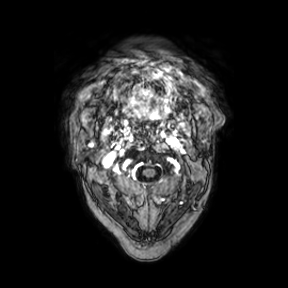
modality:
  type: brain MRI
  field_strength: 3T
series: axial
study_topic: ring-enhancing brain masses